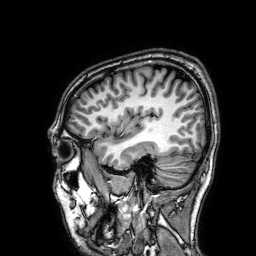
Q: What kind of scan is this?
A: 3 Tesla brain MRI.
Q: Series?
A: 3D T1-weighted.
Study: ring-enhancing brain masses.